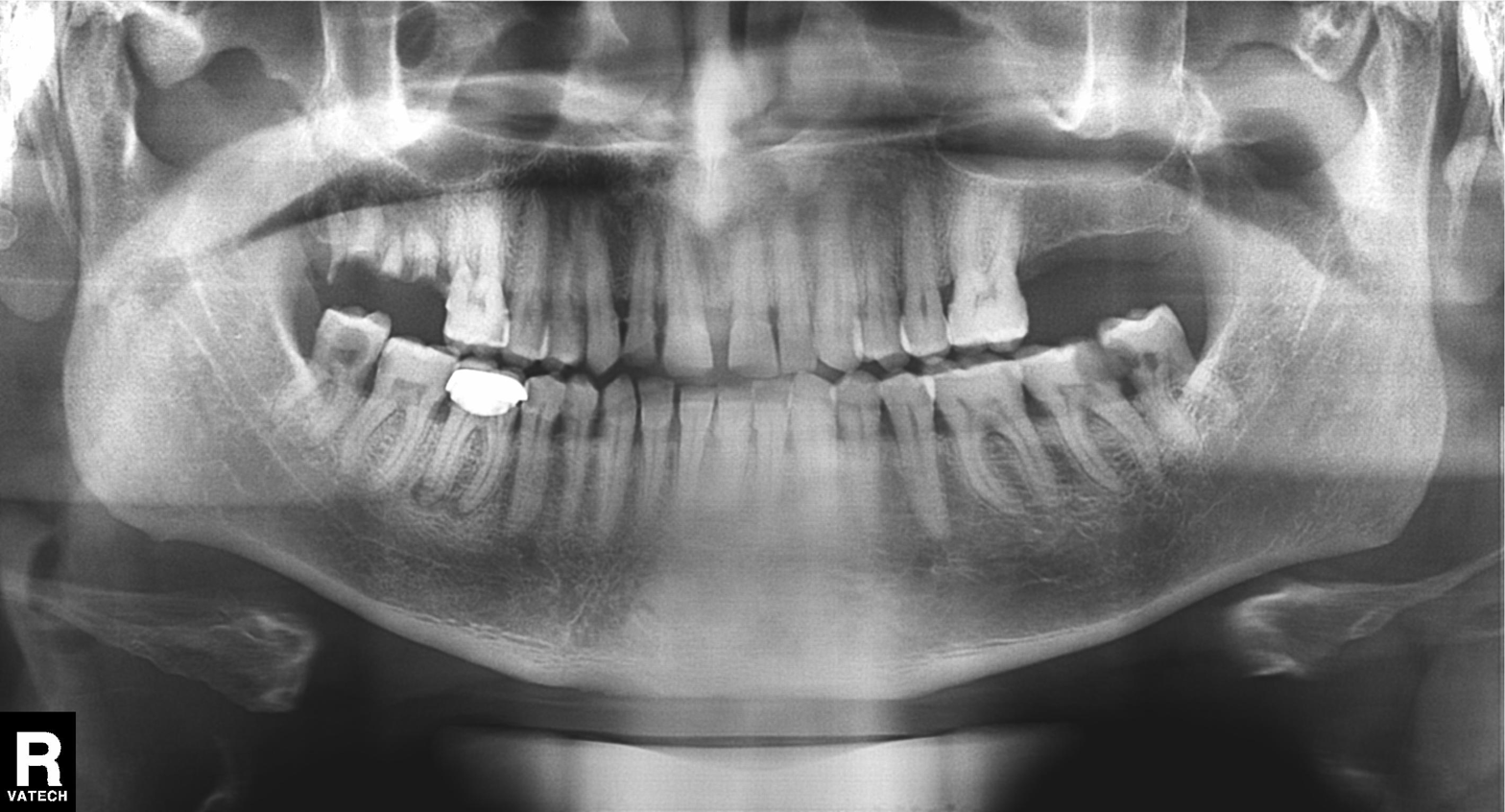
| field | value |
|---|---|
| modality | panoramic dental radiograph (orthopantomogram) |
| finding | dental caries (cavities) |